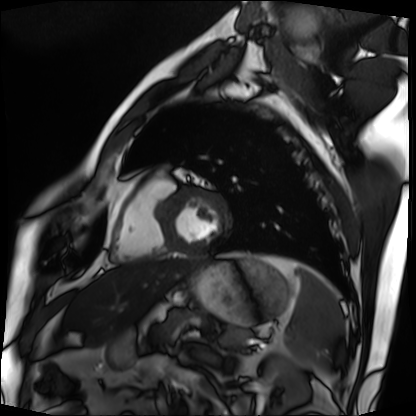
Cardiac MRI.
Subject group: patient.